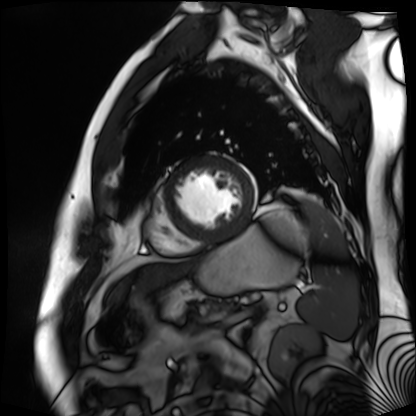
<case>
<modality>cardiac MR image of the myocardium</modality>
<cohort>cardiac patient</cohort>
</case>